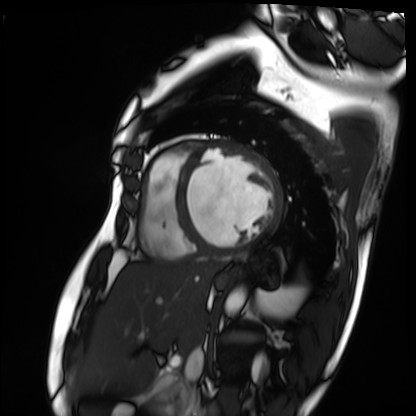
modality — cardiac MRI; subject group — patient.